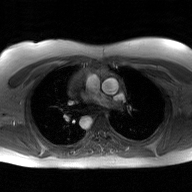
<record>
  <modality>
    <type>2D phase-contrast cine MRI</type>
    <region>ascending aorta</region>
    <reconstruction>GAN super-resolution reconstruction</reconstruction>
  </modality>
</record>